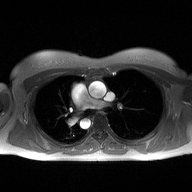
2D phase-contrast cine MRI of the ascending aorta, high-resolution GRAPPA acquisition.